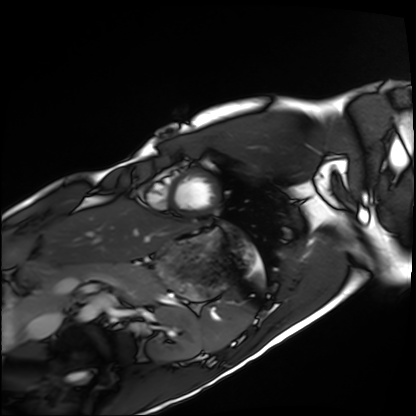
<scan>
<modality>cardiac MRI</modality>
<cohort>healthy volunteer</cohort>
</scan>